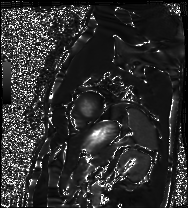
modality: cardiac MRI; subject group: patient.